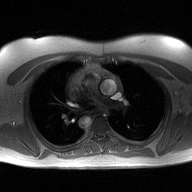
Case:
* modality · 2D phase-contrast cine MRI of the ascending aorta